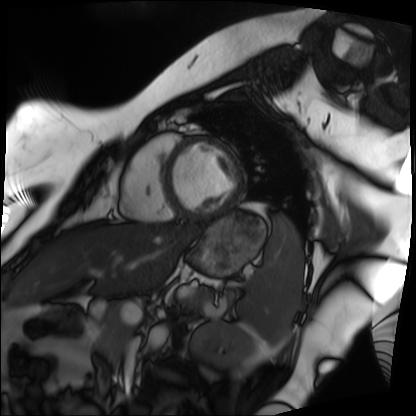
– modality — cardiac MRI
– subject group — patient